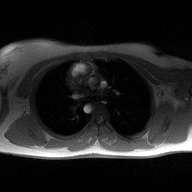
2D phase-contrast cine MRI of the ascending aorta, high-resolution GRAPPA acquisition.